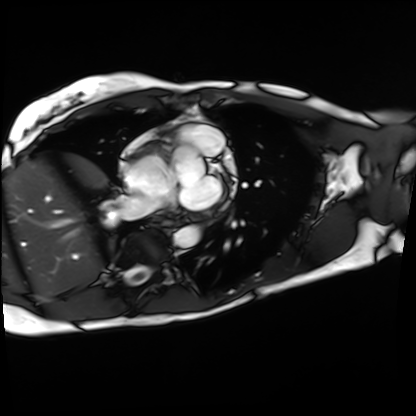
Case summary: Cardiac MRI. Subject group: patient.